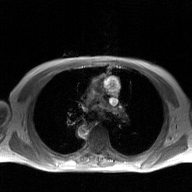
{"modality": {"type": "2D phase-contrast cine MRI", "region": "ascending aorta", "reconstruction": "GAN super-resolution reconstruction"}}